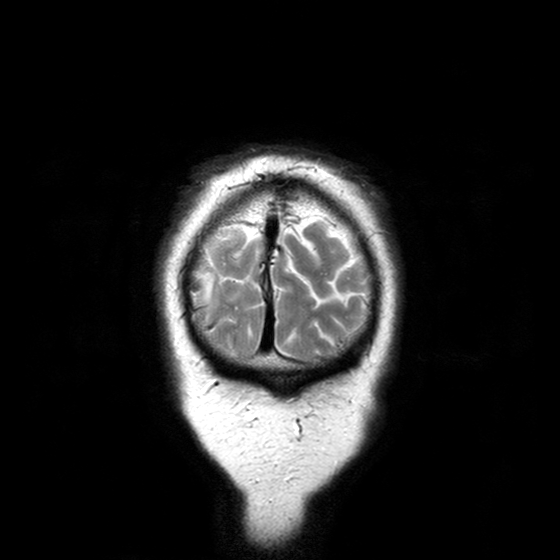
modality = 3 Tesla brain MRI | series = T2-weighted turbo spin echo with CLEAR | study = ring-enhancing brain masses.